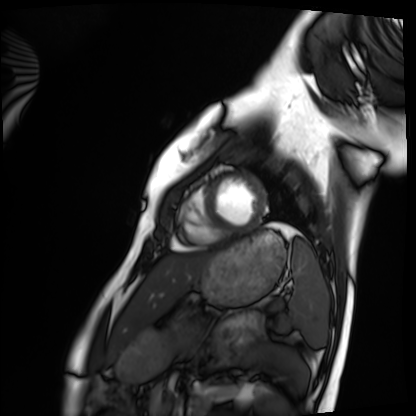
– modality · cardiac MRI
– subject group · healthy volunteer